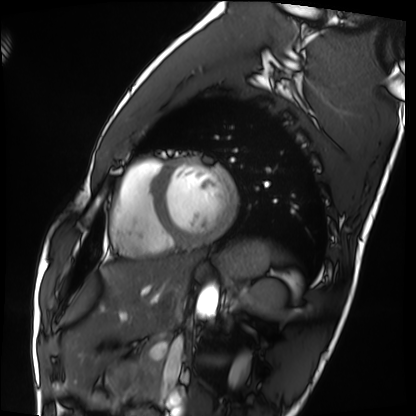
Summary: Cardiac MRI. Subject group: healthy volunteer.